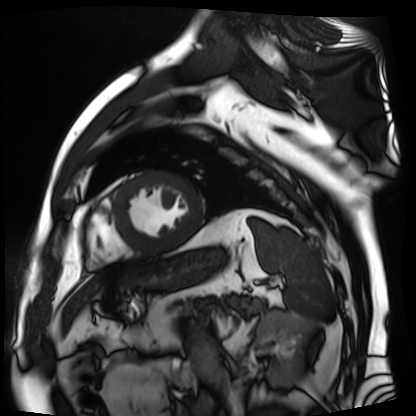
modality = cardiac MR image of the myocardium, subject cohort = cardiac patient.